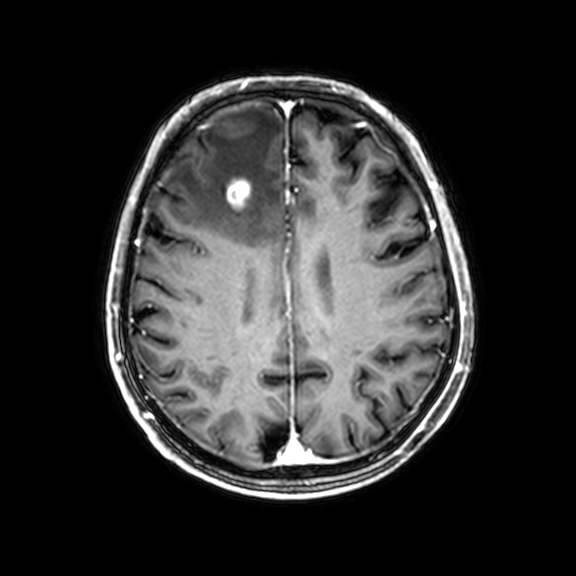
<scan>
<modality>
  <type>brain MRI</type>
  <field_strength>3T</field_strength>
</modality>
<series>3D T1-weighted with CLEAR</series>
<study_topic>ring-enhancing brain masses</study_topic>
</scan>